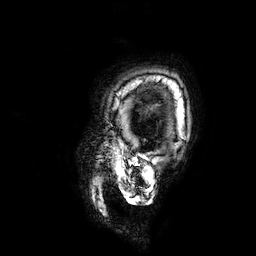
modality = 3 Tesla brain MRI; series = 3D T1-weighted; study = ring-enhancing brain masses.